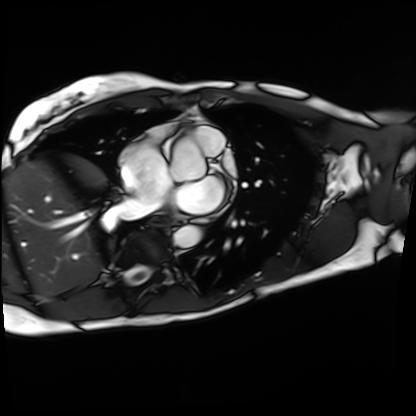
Case:
• modality · cardiac MRI
• subject group · patient